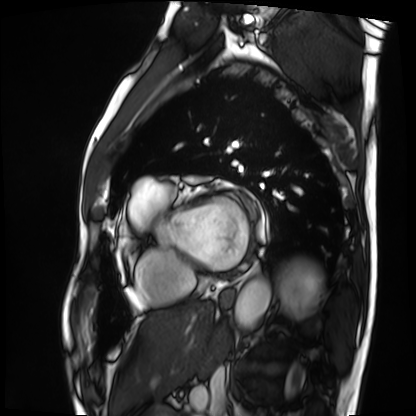
Case summary: Cardiac MRI. Subject group: patient.